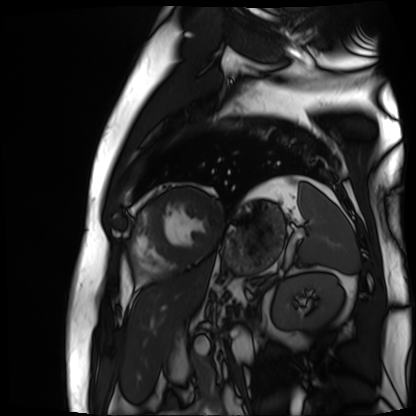
Case:
• modality — cardiac MR image of the myocardium
• subject cohort — cardiac patient